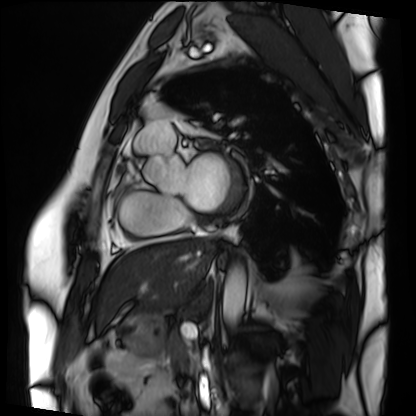
  modality: cardiac MRI
  cohort: patient